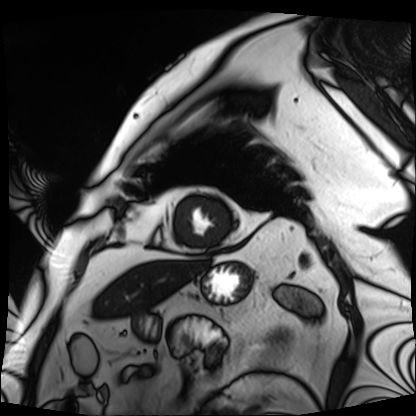
Summary:
Cardiac MRI. Subject group: patient.